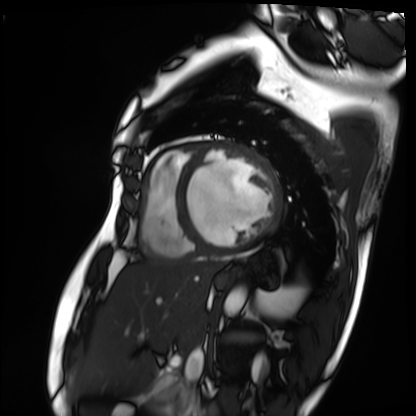
Case summary:
Cardiac MRI. Subject group: patient.